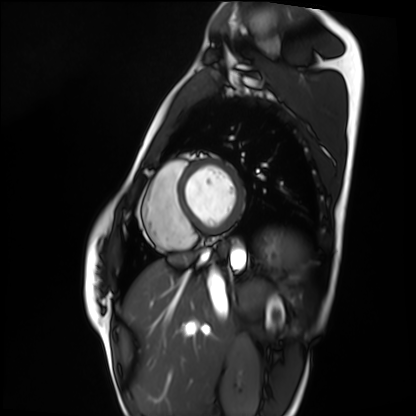
* modality · cardiac MRI
* subject group · healthy volunteer